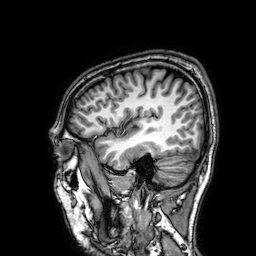
| field | value |
|---|---|
| modality | 3 Tesla brain MRI |
| series | 3D T1-weighted |
| study | ring-enhancing brain masses |